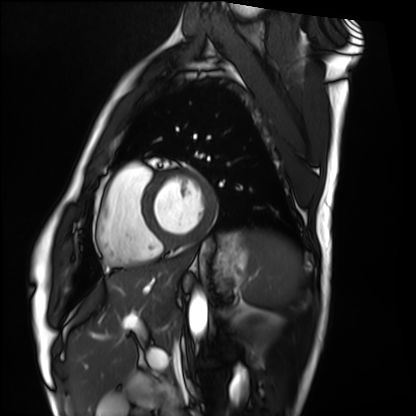
| field | value |
|---|---|
| modality | cardiac MRI |
| subject group | healthy volunteer |